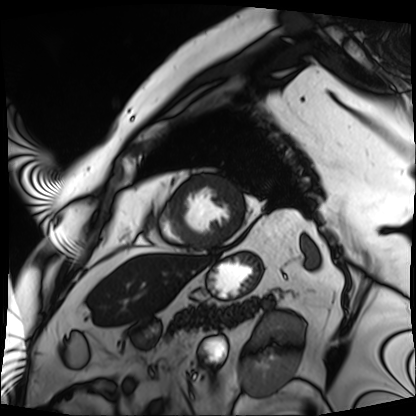
• modality — cardiac MRI
• subject group — patient